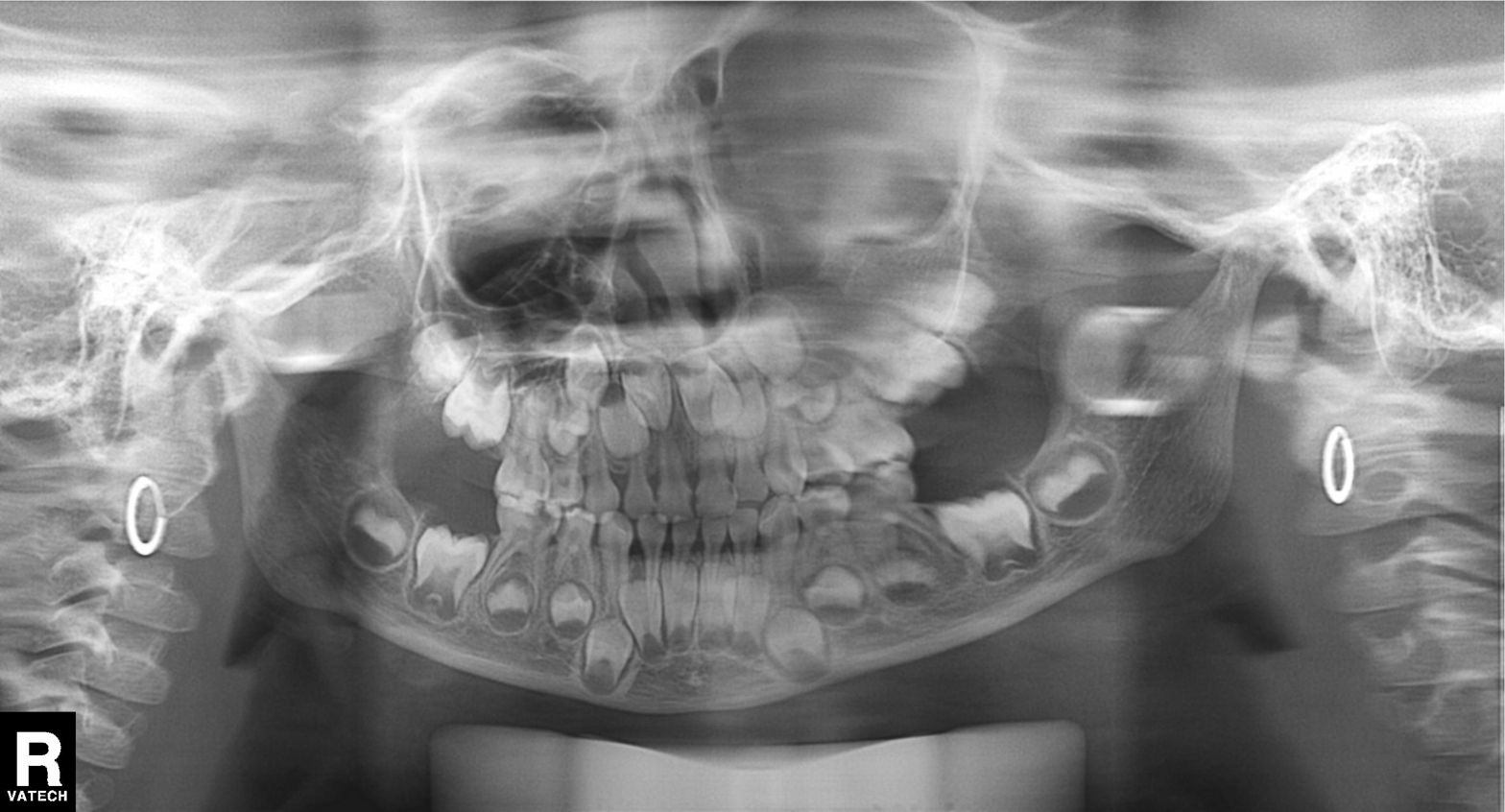
Panoramic dental radiograph (orthopantomogram). Finding: alveolar bone loss.